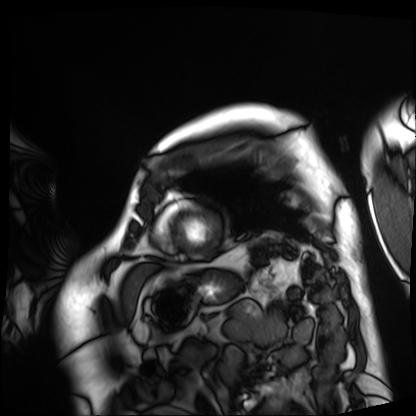
Cardiac MRI.
Subject group: patient.